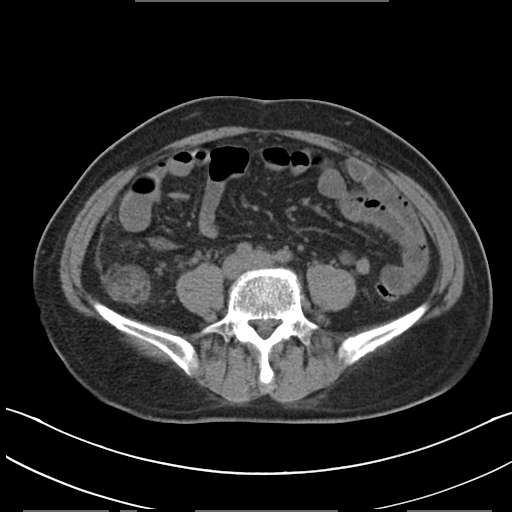
* modality — multiphase abdominal CT, liver, non-contrast phase
* patient — male, age 50